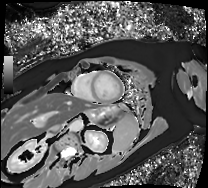
Cardiac MRI.
Subject group: patient.